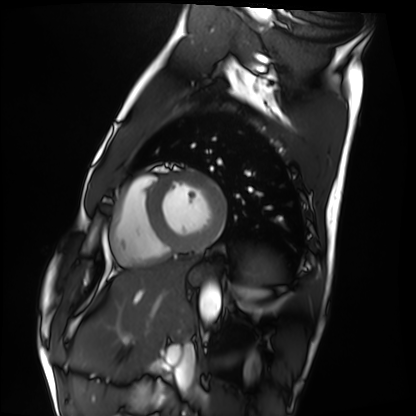
Q: What kind of scan is this?
A: Cardiac MRI.
Subject group: healthy volunteer.